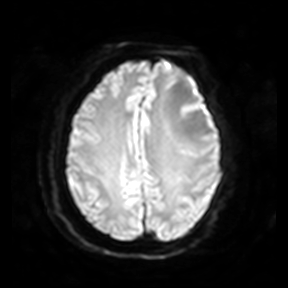
3 Tesla brain MRI. Study: ring-enhancing brain masses.